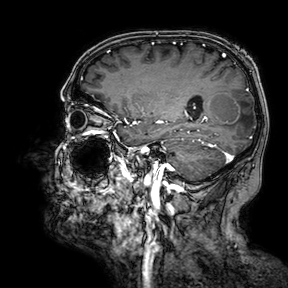
modality=3 Tesla brain MRI; series=3D T1-weighted turbo field echo with SENSE; study=ring-enhancing brain masses.